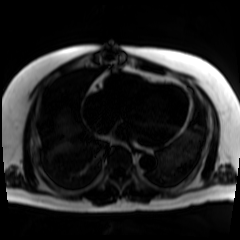
modality = chemical-shift-encoded cardiac MRI.